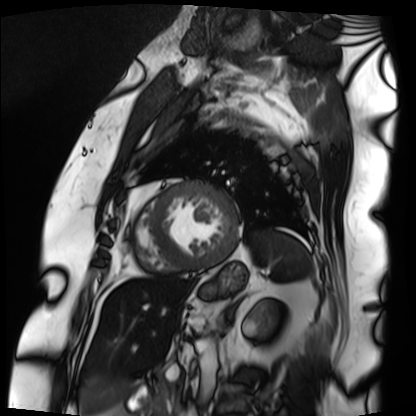
Cardiac MRI.
Subject group: patient.